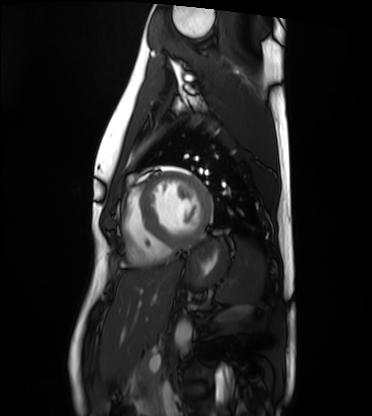
* modality — cardiac MRI
* subject group — healthy volunteer